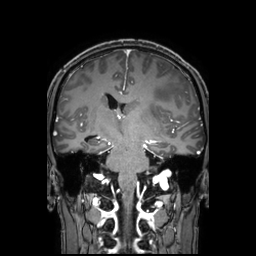
Summary:
3 Tesla brain MRI. Series: 3D T1-weighted TFE with SENSE. Study: ring-enhancing brain masses.